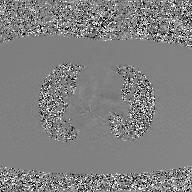
Case:
• modality: 2D phase-contrast cine MRI of the ascending aorta, GAN super-resolution reconstruction